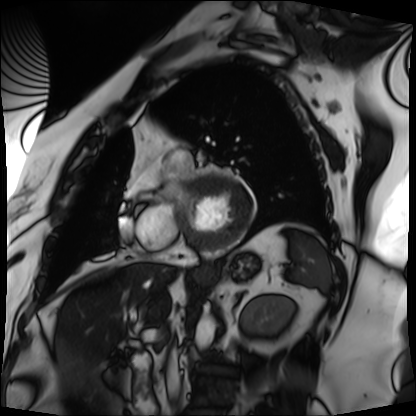
Cardiac MRI.
Subject group: patient.